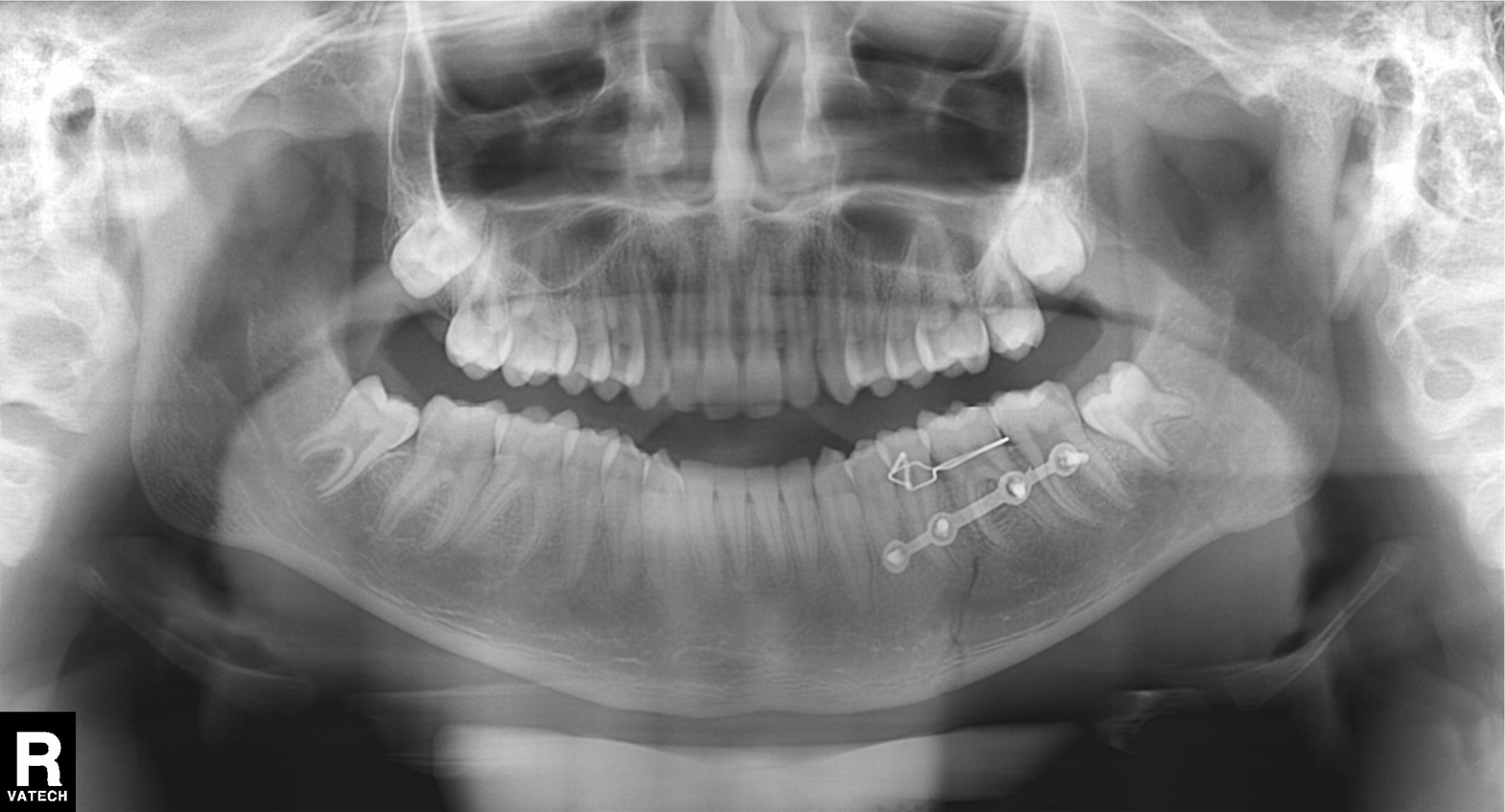
  modality: panoramic dental radiograph (orthopantomogram)
  finding: dental caries (cavities)